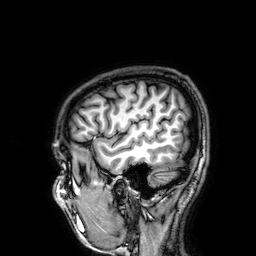
Summary:
3 Tesla brain MRI. Series: 3D T1-weighted. Study: ring-enhancing brain masses.